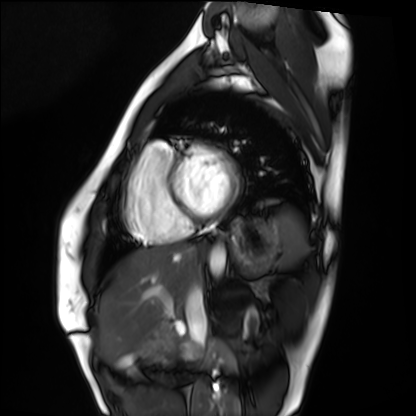
Cardiac MRI.
Subject group: healthy volunteer.